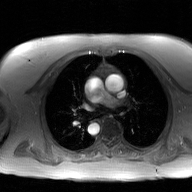
Case:
* modality — 2D phase-contrast cine MRI of the ascending aorta, GAN super-resolution reconstruction